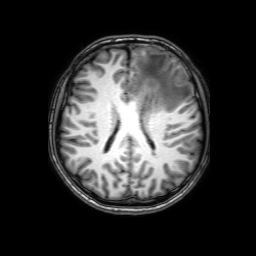
3 Tesla brain MRI.
Series: 3D T1-weighted with SENSE.
Study: ring-enhancing brain masses.